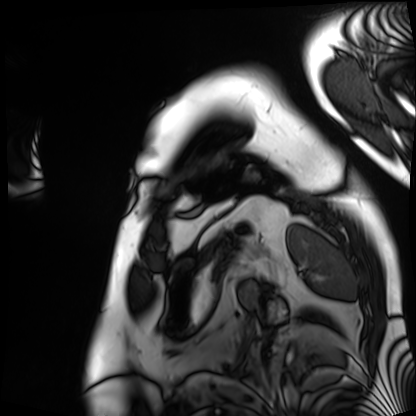
Clinical context:
Cardiac MRI. Subject group: patient.